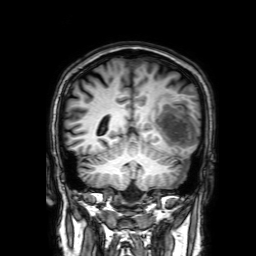
Case:
- modality: 3 Tesla brain MRI
- series: 3D T1-weighted with SENSE
- study: ring-enhancing brain masses